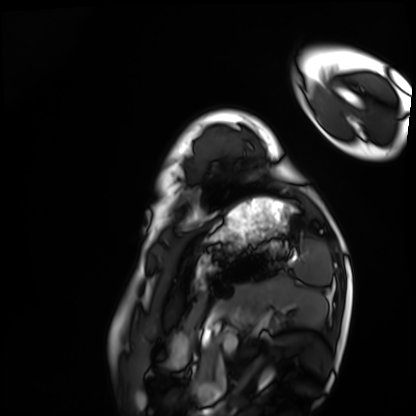
modality = cardiac MRI; subject group = healthy volunteer.